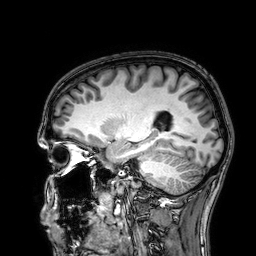
Q: What kind of scan is this?
A: 3 Tesla brain MRI.
Q: Series?
A: 3D T1-weighted.
Study: ring-enhancing brain masses.